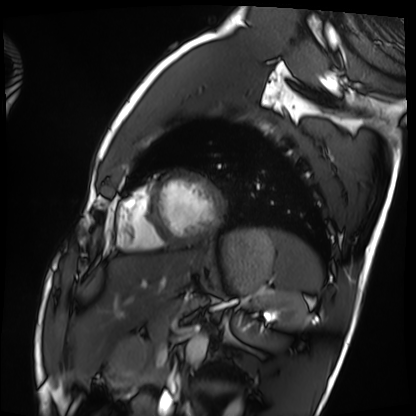
Q: What kind of scan is this?
A: Cardiac MRI.
Subject group: healthy volunteer.